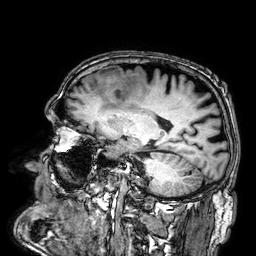
3 Tesla brain MRI. Series: 3D T1-weighted. Study: ring-enhancing brain masses.